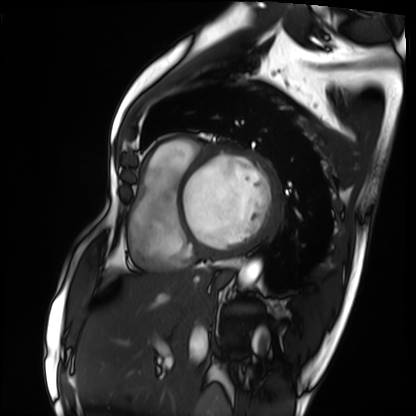
{
  "modality": "cardiac MRI",
  "cohort": "patient"
}